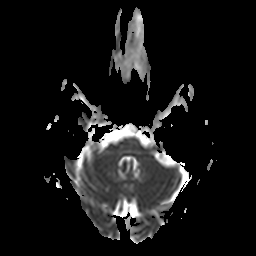
Q: What kind of scan is this?
A: 3 Tesla brain MRI.
Q: Series?
A: Apparent diffusion coefficient (ADC) map.
Study: ring-enhancing brain masses.